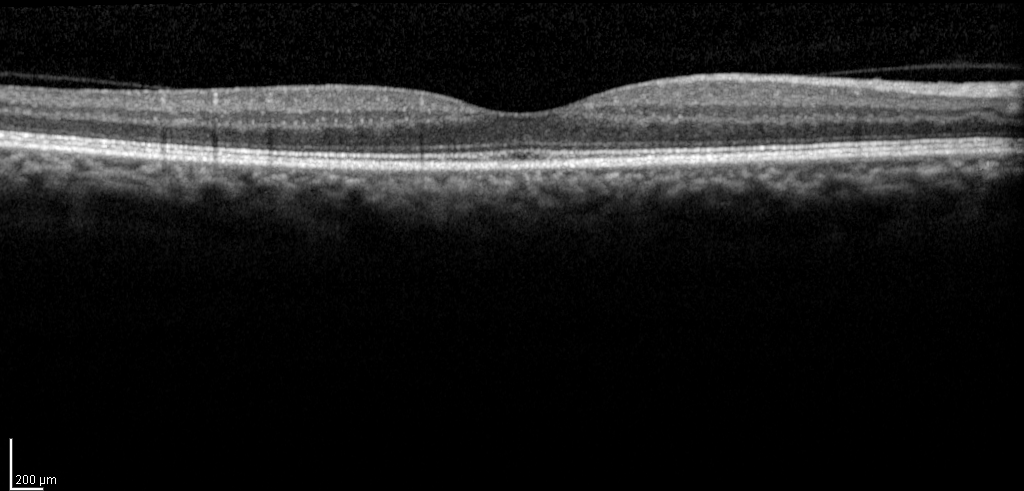
Case:
– modality — spectral-domain optical coherence tomography (SD-OCT) of the macula
– subject — female, age 63, right eye
– cohort — diabetic subject